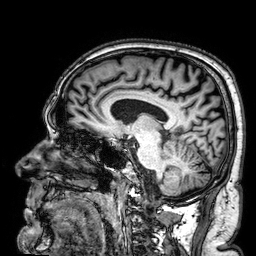
<case>
  <modality>
    <type>brain MRI</type>
    <field_strength>3T</field_strength>
  </modality>
  <series>3D T1-weighted</series>
  <study_topic>ring-enhancing brain masses</study_topic>
</case>